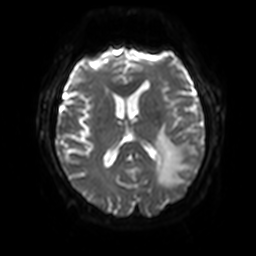
3 Tesla brain MRI. Series: diffusion-weighted imaging with SENSE (WIP). Study: ring-enhancing brain masses.